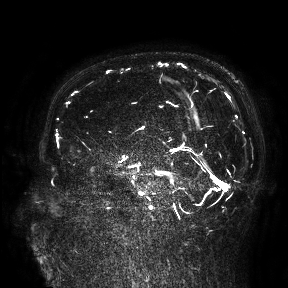
3 Tesla brain MRI. Study: ring-enhancing brain masses.